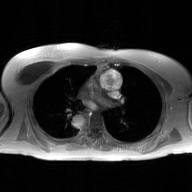
{"modality": {"type": "2D phase-contrast cine MRI", "region": "ascending aorta", "reconstruction": "GAN super-resolution reconstruction"}}